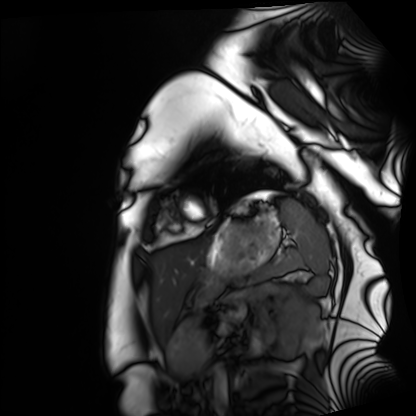
– modality: cardiac MRI
– subject group: healthy volunteer